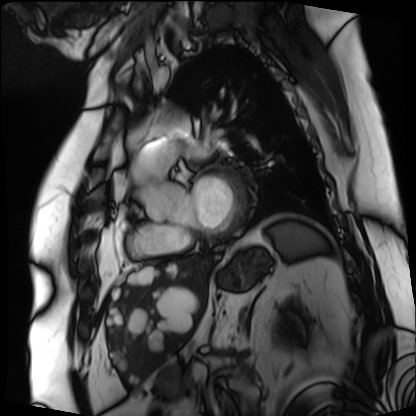
<record>
<modality>cardiac MRI</modality>
<cohort>patient</cohort>
</record>